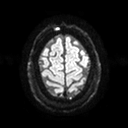
modality — 3 Tesla brain MRI | series — diffusion tensor imaging (medium iso) | study — ring-enhancing brain masses.